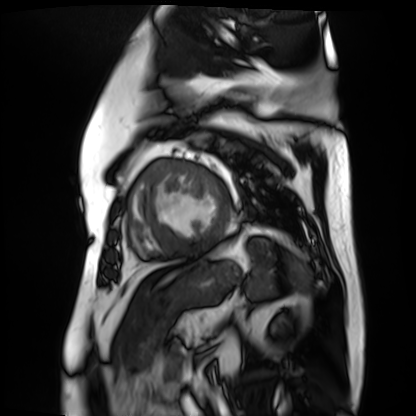
Cardiac MR image of the myocardium. Subject cohort: cardiac patient.